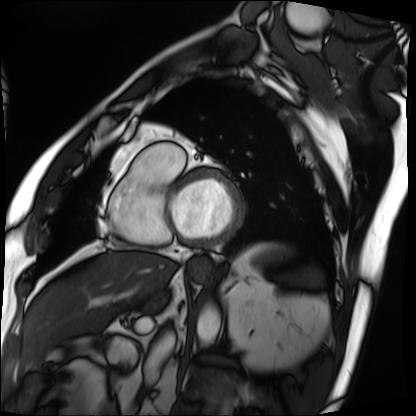
Summary: Cardiac MRI. Subject group: patient.